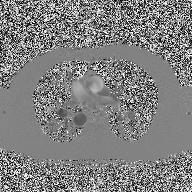
2D phase-contrast cine MRI of the ascending aorta, high-resolution GRAPPA acquisition.